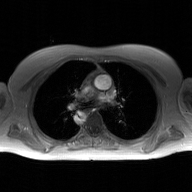
2D phase-contrast cine MRI of the ascending aorta, GAN super-resolution reconstruction.